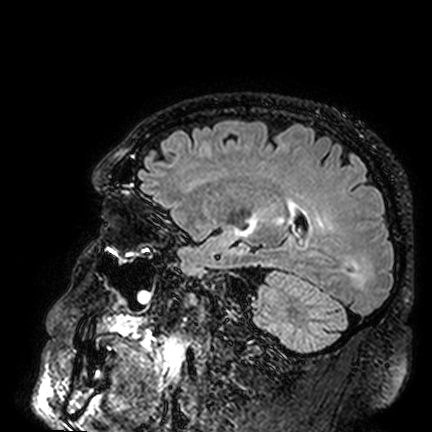
{
  "modality": {
    "type": "brain MRI",
    "field_strength": "3T"
  },
  "series": "FLAIR VISTA",
  "study_topic": "ring-enhancing brain masses"
}